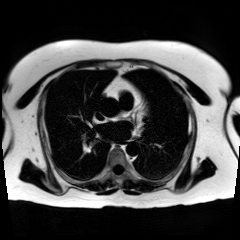
Q: What kind of scan is this?
A: Chemical-shift-encoded cardiac MRI.